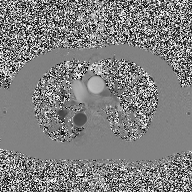
Summary:
2D phase-contrast cine MRI of the ascending aorta, high-resolution GRAPPA acquisition.